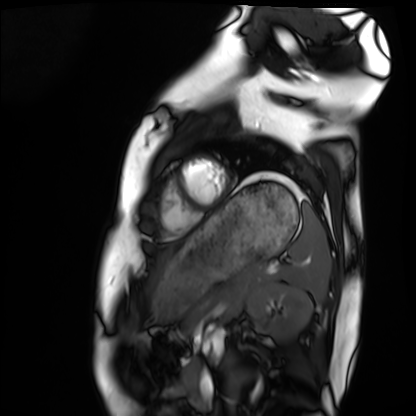
modality: cardiac MRI
cohort: healthy volunteer